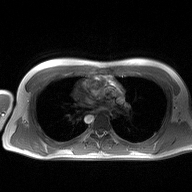
modality: 2D phase-contrast cine MRI of the ascending aorta.